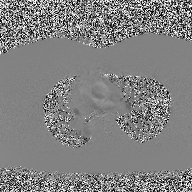
2D phase-contrast cine MRI of the ascending aorta, high-resolution GRAPPA acquisition.